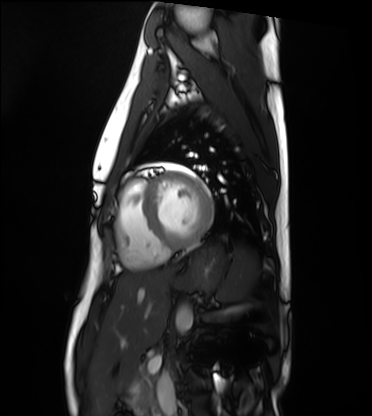
Q: What kind of scan is this?
A: Cardiac MRI.
Subject group: healthy volunteer.